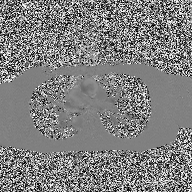
| field | value |
|---|---|
| modality | 2D phase-contrast cine MRI of the ascending aorta |